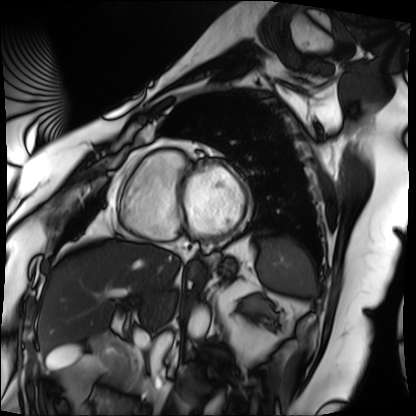
Q: What kind of scan is this?
A: Cardiac MRI.
Subject group: patient.